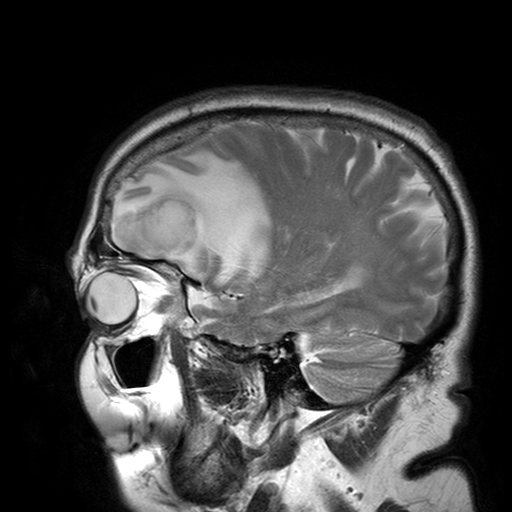
• modality: 3 Tesla brain MRI
• series: T2-weighted turbo spin echo with SENSE
• study: ring-enhancing brain masses